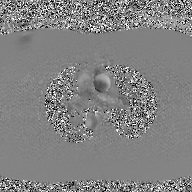
– modality — 2D phase-contrast cine MRI of the ascending aorta, GAN super-resolution reconstruction